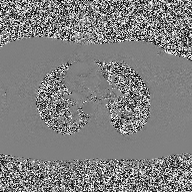
2D phase-contrast cine MRI of the ascending aorta, high-resolution GRAPPA acquisition.